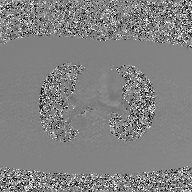
2D phase-contrast cine MRI of the ascending aorta, GAN super-resolution reconstruction.